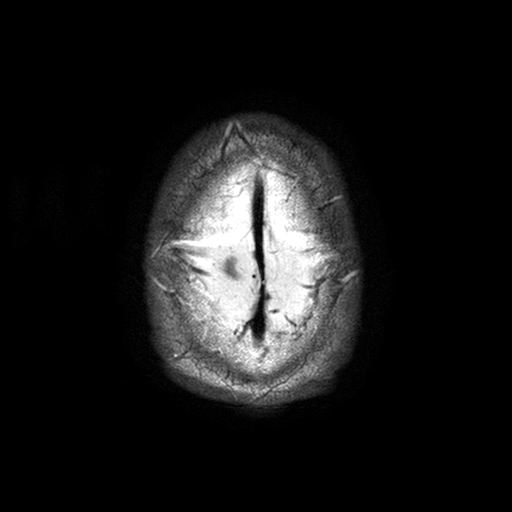
3 Tesla brain MRI.
Study: ring-enhancing brain masses.